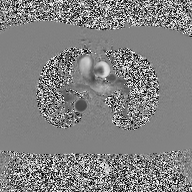
modality = 2D phase-contrast cine MRI of the ascending aorta.